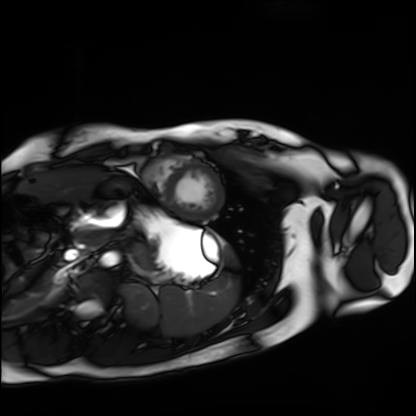
Q: What kind of scan is this?
A: Cardiac MRI.
Subject group: healthy volunteer.